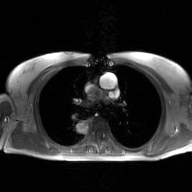
modality: 2D phase-contrast cine MRI of the ascending aorta, GAN super-resolution reconstruction.